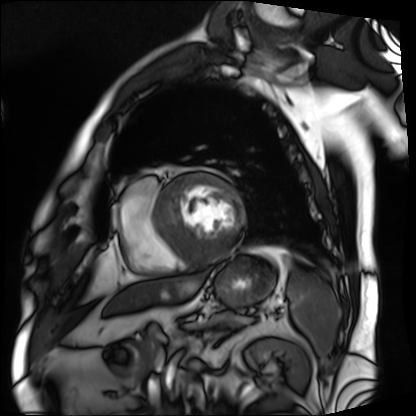
Cardiac MRI.
Subject group: patient.